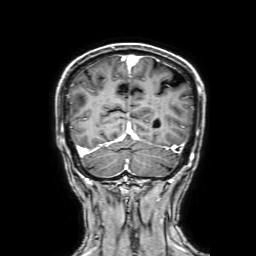
| field | value |
|---|---|
| modality | 3 Tesla brain MRI |
| series | 3D T1-weighted with SENSE |
| study | ring-enhancing brain masses |